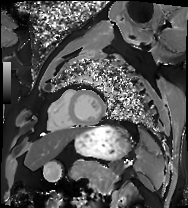
Cardiac MRI. Subject group: patient.